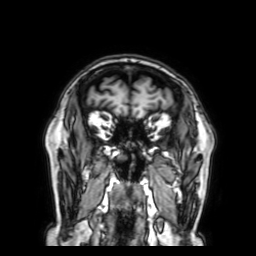
Case summary: 3 Tesla brain MRI. Series: 3D T1-weighted with SENSE. Study: ring-enhancing brain masses.